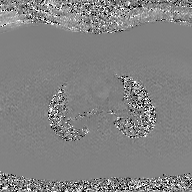
* modality: 2D phase-contrast cine MRI of the ascending aorta, GAN super-resolution reconstruction